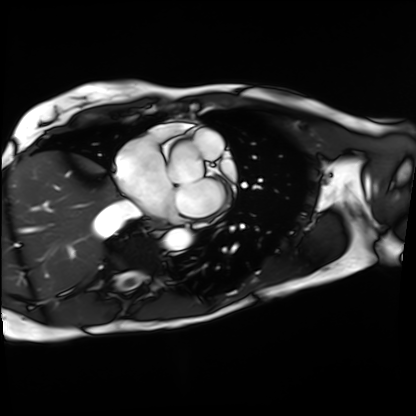
<record>
  <modality>cardiac MRI</modality>
  <cohort>patient</cohort>
</record>